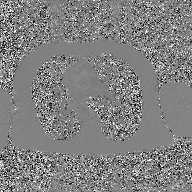
Clinical context:
2D phase-contrast cine MRI of the ascending aorta, GAN super-resolution reconstruction.